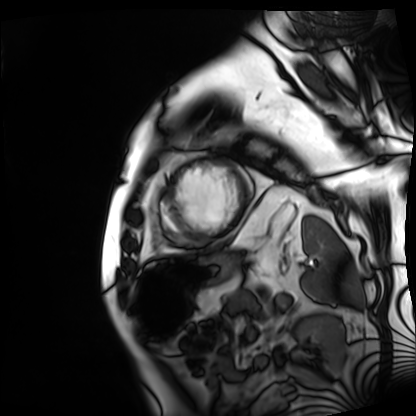
Cardiac MRI. Subject group: patient.